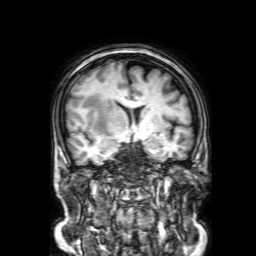
<study>
<modality>
  <type>brain MRI</type>
  <field_strength>3T</field_strength>
</modality>
<series>3D T1-weighted with SENSE</series>
<study_topic>ring-enhancing brain masses</study_topic>
</study>